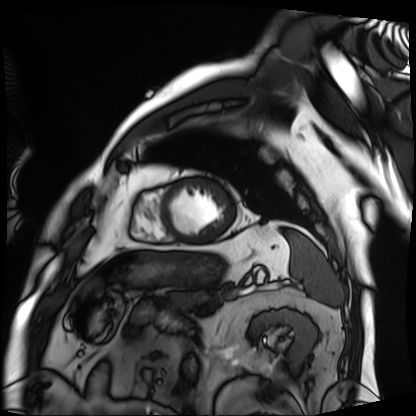
modality: cardiac MRI, subject group: patient.